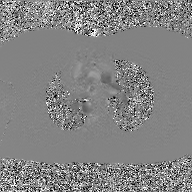
modality = 2D phase-contrast cine MRI of the ascending aorta, GAN super-resolution reconstruction